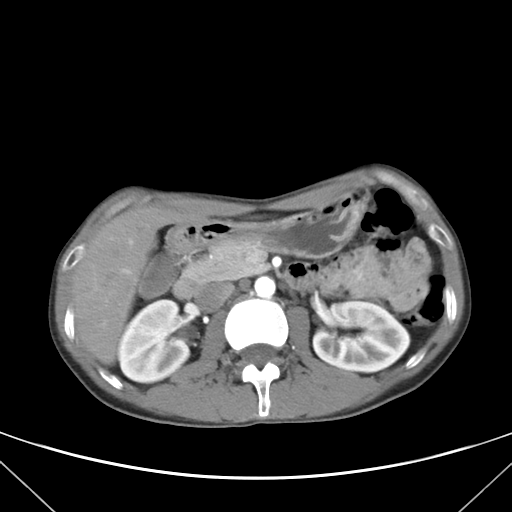
Clinical context: Multiphase abdominal CT, liver, arterial phase. Patient: male, age 38.